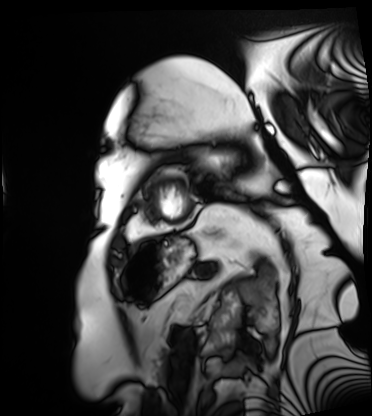
Cardiac MRI. Subject group: patient.